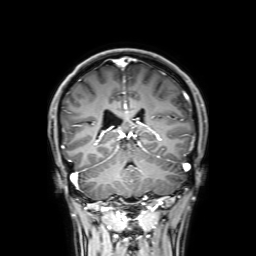
Case summary: 3 Tesla brain MRI. Series: 3D T1-weighted with SENSE. Study: ring-enhancing brain masses.